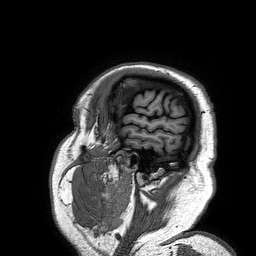
3 Tesla brain MRI. Series: 3D T1-weighted turbo field echo. Study: ring-enhancing brain masses.